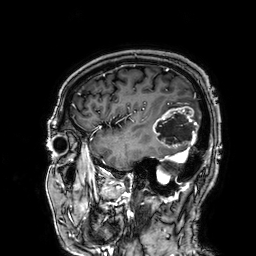
3 Tesla brain MRI. Series: 3D T1-weighted. Study: ring-enhancing brain masses.